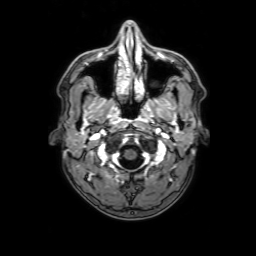
| field | value |
|---|---|
| modality | 3 Tesla brain MRI |
| series | 3D T1-weighted with SENSE |
| study | ring-enhancing brain masses |